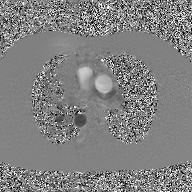
modality — 2D phase-contrast cine MRI of the ascending aorta, GAN super-resolution reconstruction.